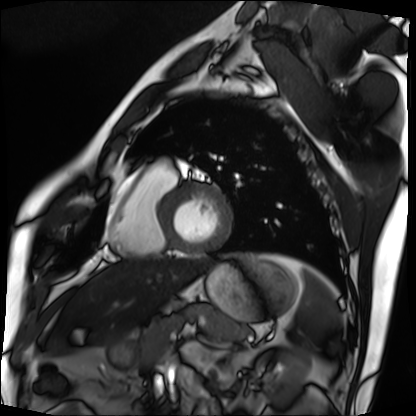
Summary: Cardiac MRI. Subject group: patient.